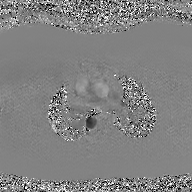
2D phase-contrast cine MRI of the ascending aorta, GAN super-resolution reconstruction.